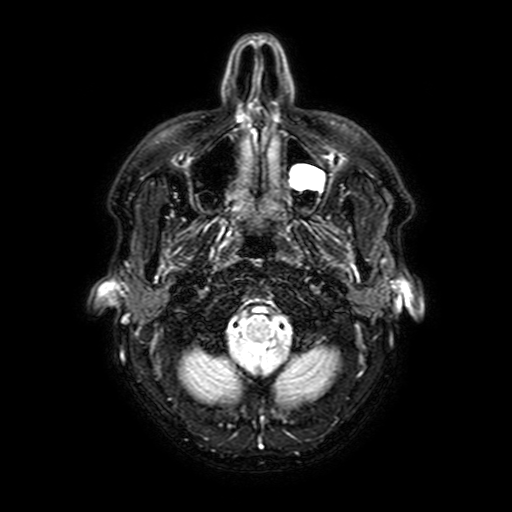
modality=3 Tesla brain MRI | series=FLAIR with SPAIR, 3 mm | study=ring-enhancing brain masses.